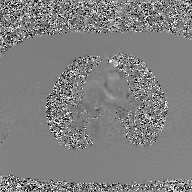
Case:
• modality · 2D phase-contrast cine MRI of the ascending aorta, GAN super-resolution reconstruction